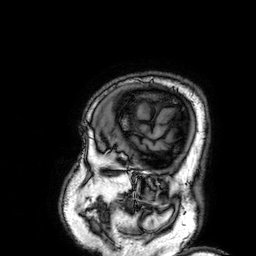
modality: 3 Tesla brain MRI; series: 3D T1-weighted; study: ring-enhancing brain masses.